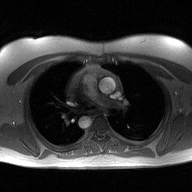
2D phase-contrast cine MRI of the ascending aorta, high-resolution GRAPPA acquisition.